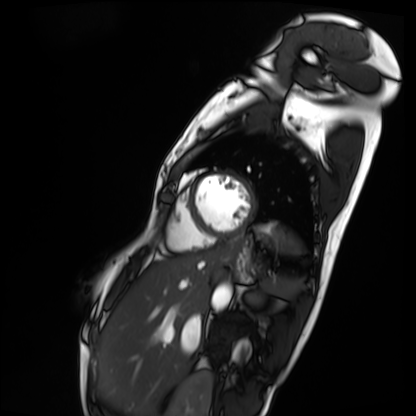
Cardiac MRI. Subject group: patient.